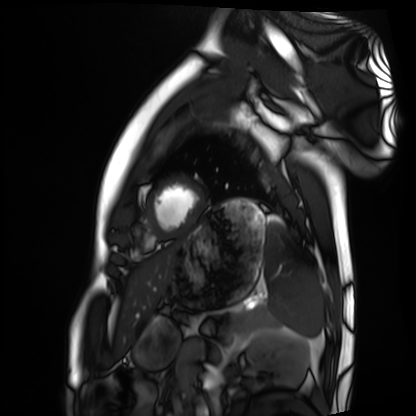
Q: What kind of scan is this?
A: Cardiac MRI.
Subject group: healthy volunteer.